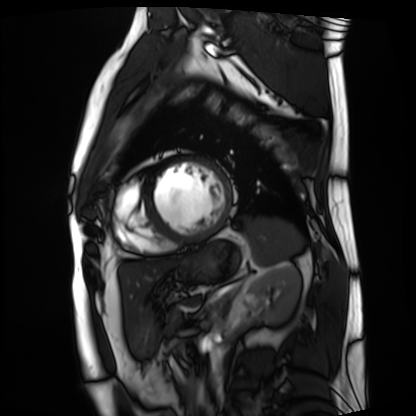
* modality · cardiac MRI
* subject group · patient